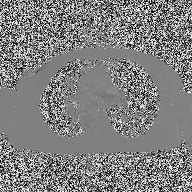
Case summary: 2D phase-contrast cine MRI of the ascending aorta, high-resolution GRAPPA acquisition.